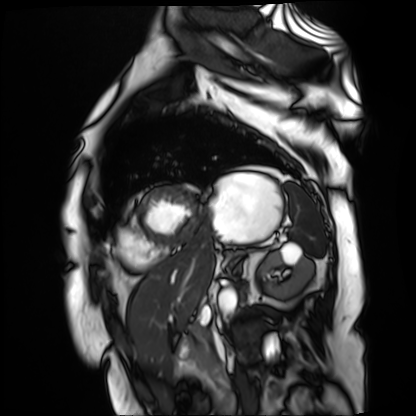
Cardiac MR image of the myocardium. Subject cohort: cardiac patient.